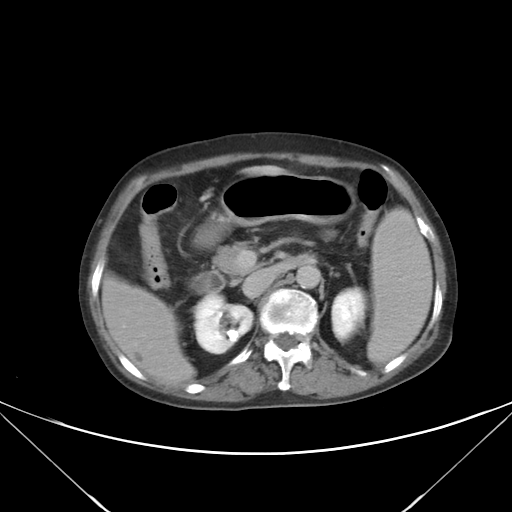
<record>
<modality>
  <type>multiphase abdominal CT</type>
  <region>liver</region>
  <phase>delayed</phase>
</modality>
</record>